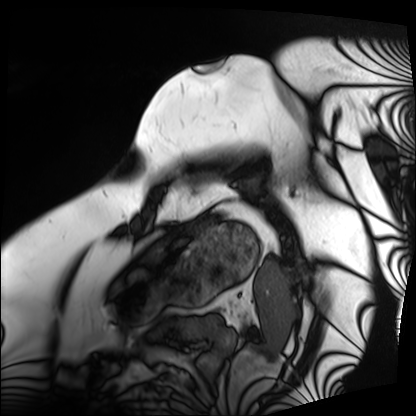
<scan>
<modality>cardiac MRI</modality>
<cohort>patient</cohort>
</scan>